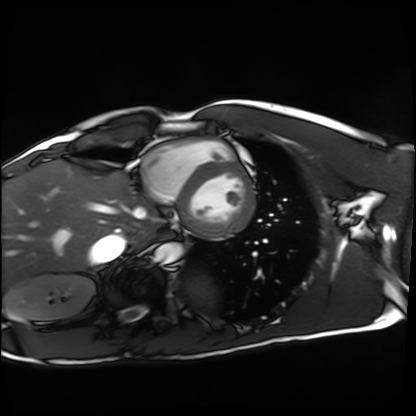
Q: What kind of scan is this?
A: Cardiac MRI.
Subject group: healthy volunteer.